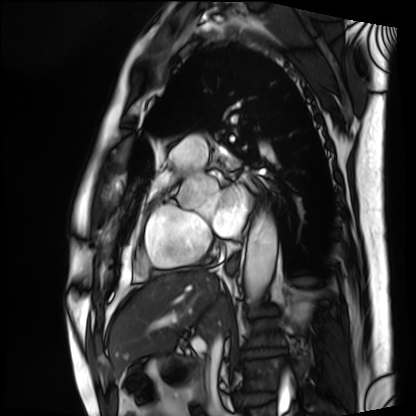
Cardiac MRI.
Subject group: patient.